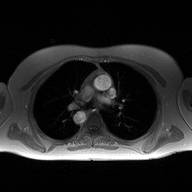
Q: What kind of scan is this?
A: 2D phase-contrast cine MRI of the ascending aorta.